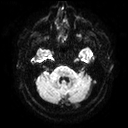
Q: What kind of scan is this?
A: 3 Tesla brain MRI.
Q: Series?
A: Diffusion tensor imaging (medium iso).
Study: ring-enhancing brain masses.